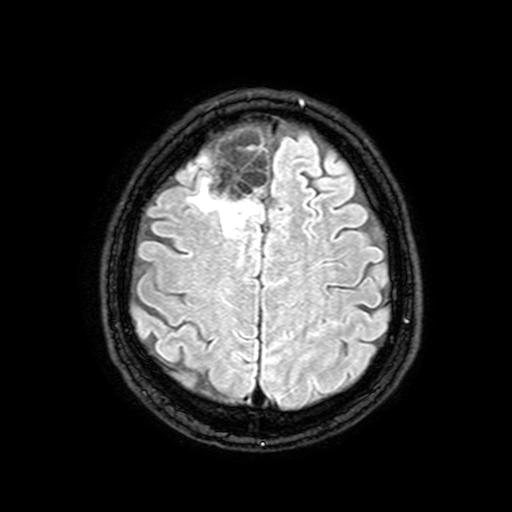
modality: 3 Tesla brain MRI | series: FLAIR with SPAIR, 3 mm | study: ring-enhancing brain masses.